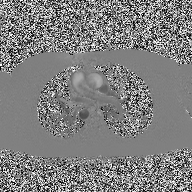
2D phase-contrast cine MRI of the ascending aorta, high-resolution GRAPPA acquisition.